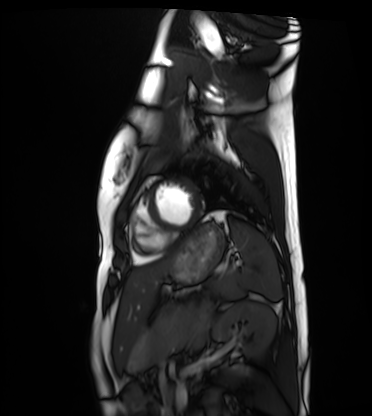
modality = cardiac MRI, subject group = healthy volunteer.